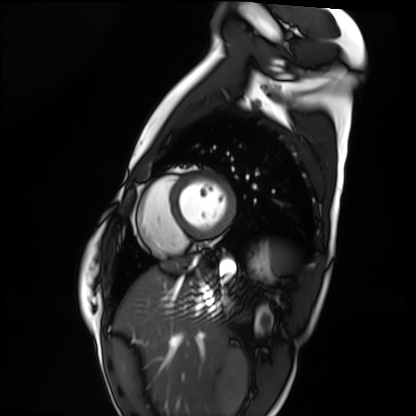
Cardiac MRI.
Subject group: healthy volunteer.